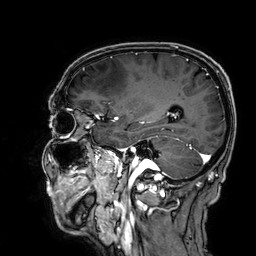
3 Tesla brain MRI. Series: 3D T1-weighted. Study: ring-enhancing brain masses.